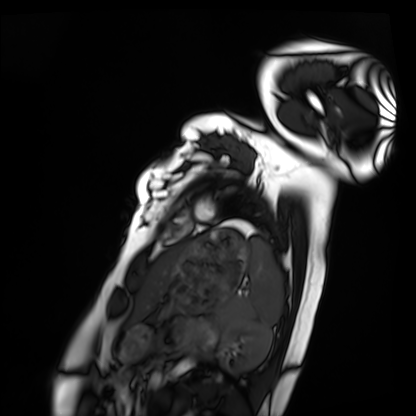
modality: cardiac MRI
subject group: healthy volunteer